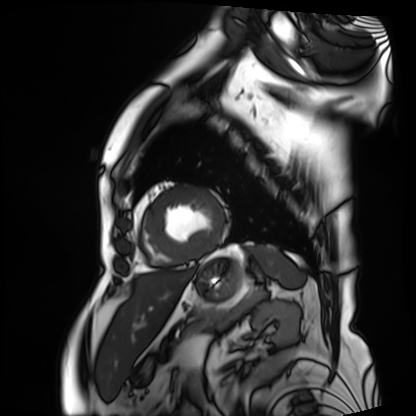
Cardiac MRI. Subject group: patient.